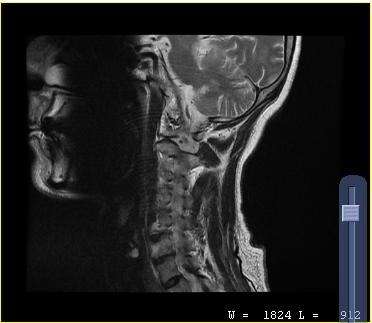
MRI of the cervical spine.
Study: cervical spondylosis.